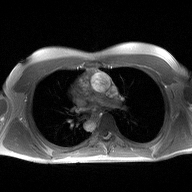
Summary: 2D phase-contrast cine MRI of the ascending aorta, high-resolution GRAPPA acquisition.